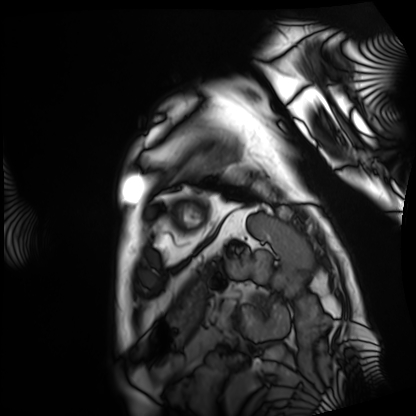
Cardiac MRI. Subject group: patient.